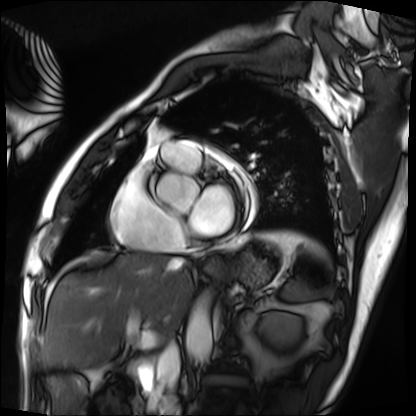
<case>
<modality>cardiac MRI</modality>
<cohort>patient</cohort>
</case>